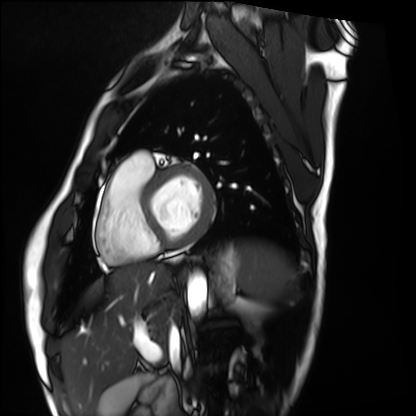
Case:
• modality · cardiac MRI
• subject group · healthy volunteer